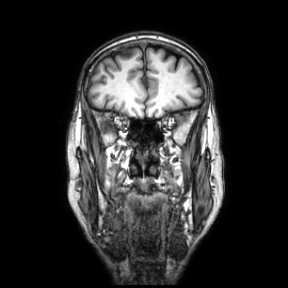
3 Tesla brain MRI.
Series: coronal.
Study: ring-enhancing brain masses.